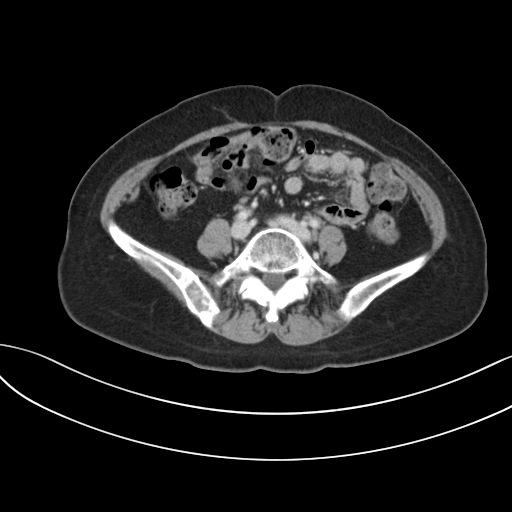
Multiphase abdominal CT, liver, portal venous phase. Patient: female, age 56. History: prior chemotherapy.